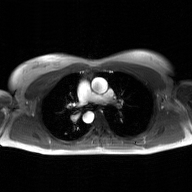
Case summary:
2D phase-contrast cine MRI of the ascending aorta, GAN super-resolution reconstruction.